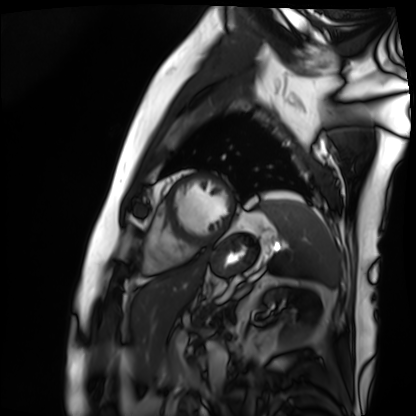
Clinical context:
Cardiac MRI. Subject group: patient.